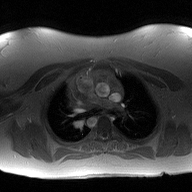
Case summary: 2D phase-contrast cine MRI of the ascending aorta, high-resolution GRAPPA acquisition.